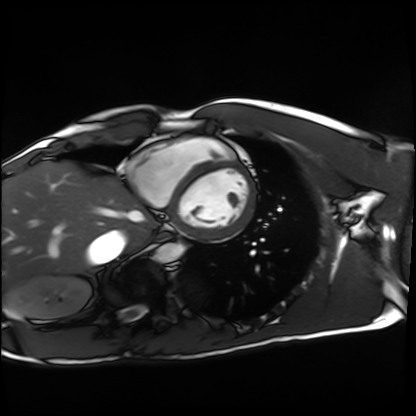
• modality · cardiac MRI
• subject group · healthy volunteer